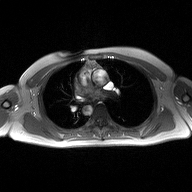
{
  "modality": {
    "type": "2D phase-contrast cine MRI",
    "region": "ascending aorta",
    "reconstruction": "high-resolution GRAPPA acquisition"
  }
}